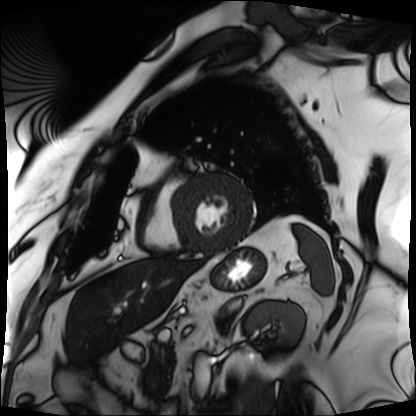
Q: What kind of scan is this?
A: Cardiac MRI.
Subject group: patient.